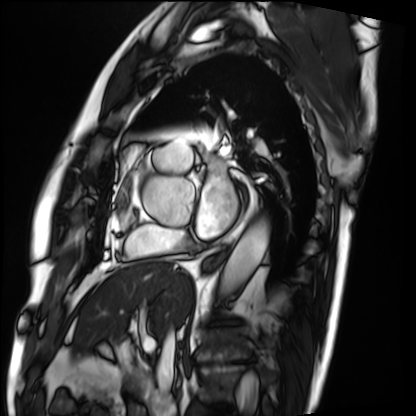
Cardiac MRI. Subject group: patient.